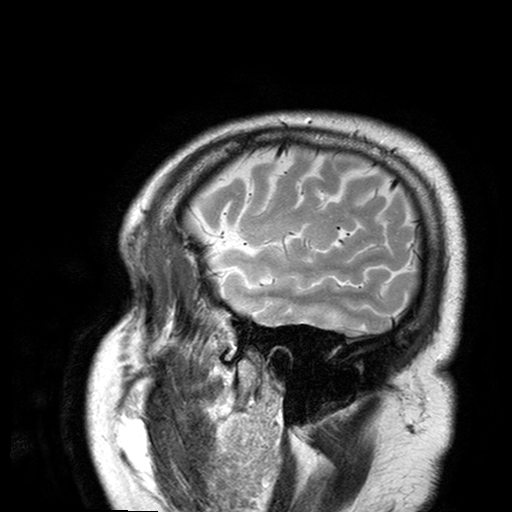
Clinical context:
3 Tesla brain MRI. Series: T2-weighted turbo spin echo with SENSE. Study: ring-enhancing brain masses.